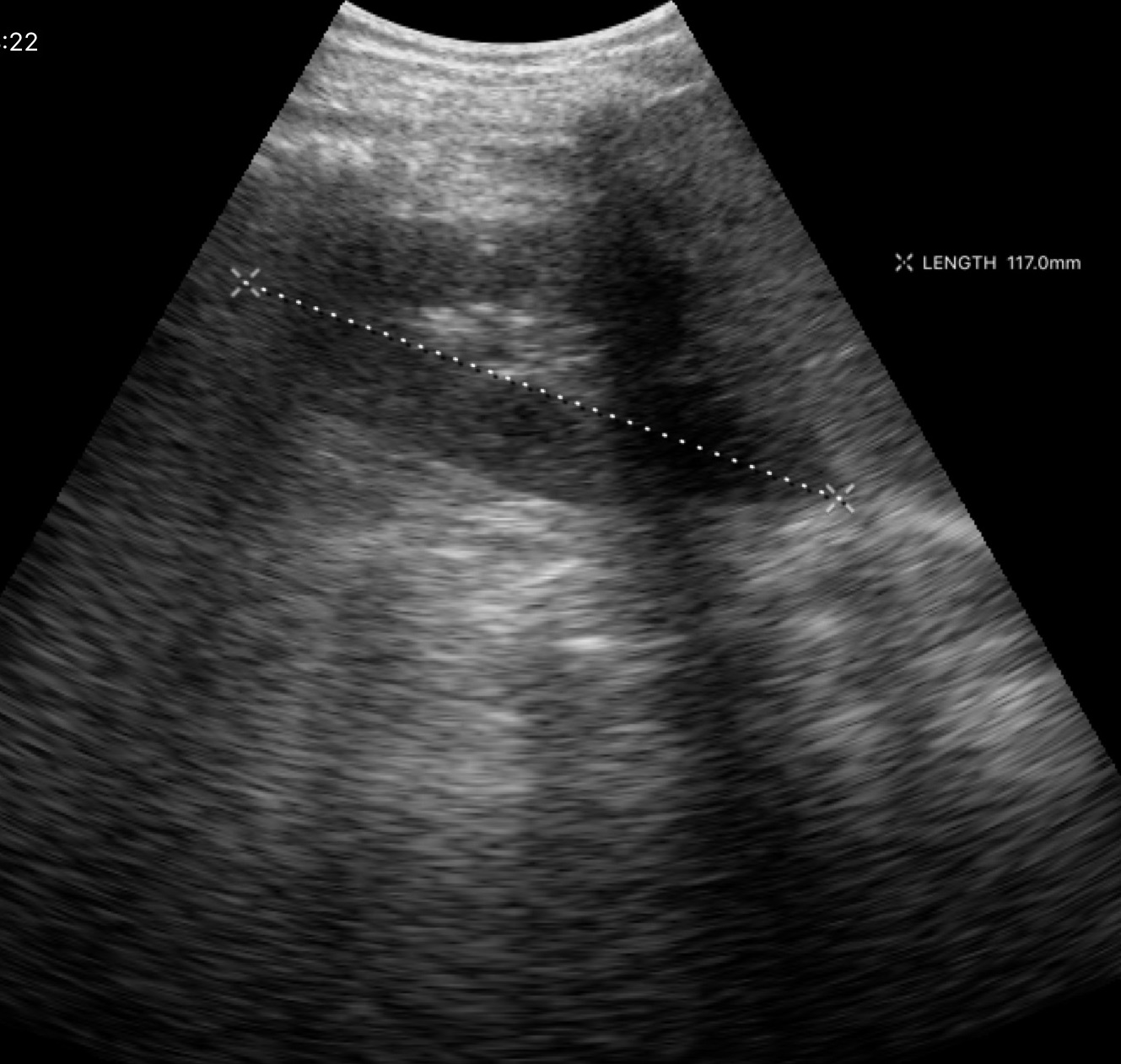
<case>
<modality>
  <type>genitourinary ultrasound</type>
</modality>
</case>